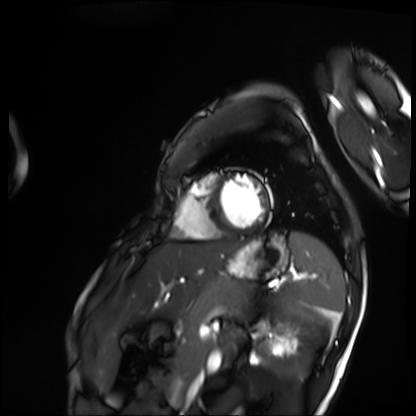
Cardiac MRI. Subject group: patient.